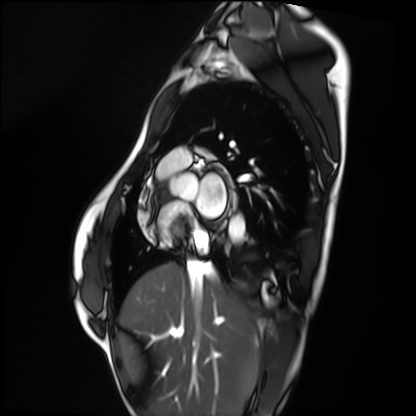
Q: What kind of scan is this?
A: Cardiac MRI.
Subject group: healthy volunteer.